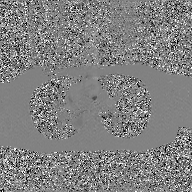
modality: 2D phase-contrast cine MRI of the ascending aorta, GAN super-resolution reconstruction.